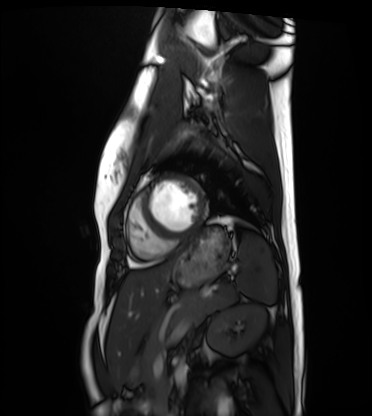
Cardiac MRI.
Subject group: healthy volunteer.